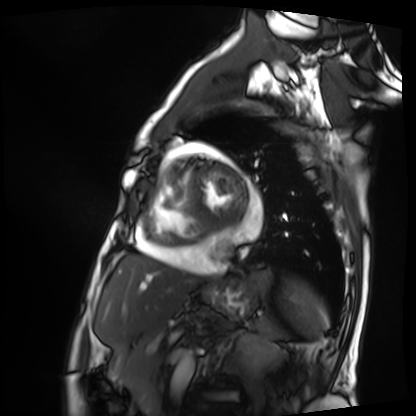
Cardiac MRI. Subject group: patient.